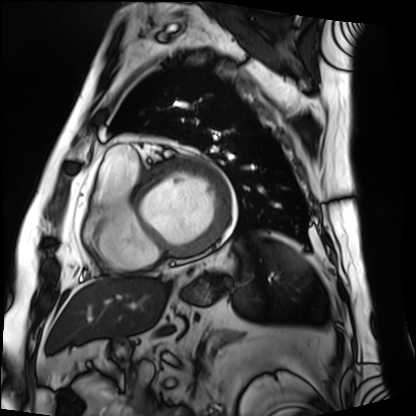
Cardiac MRI. Subject group: patient.